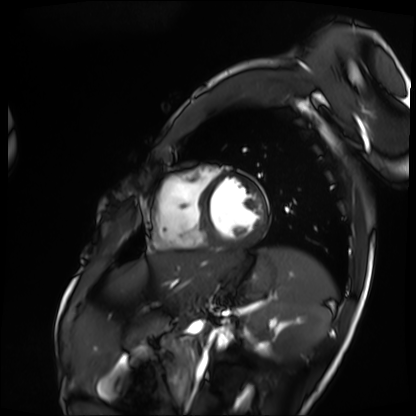
modality = cardiac MRI | subject group = patient.